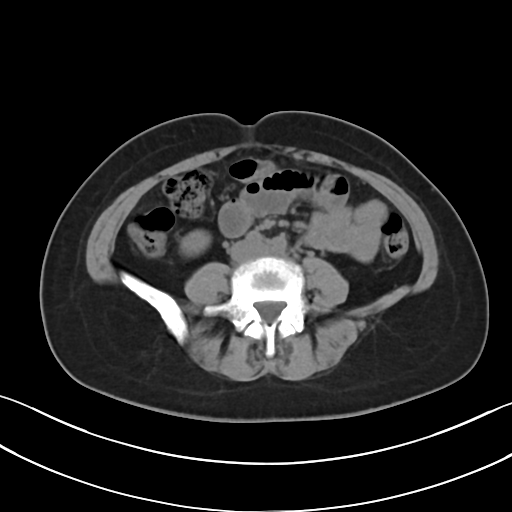
– modality — multiphase abdominal CT, liver, non-contrast phase
– patient — female, age 47